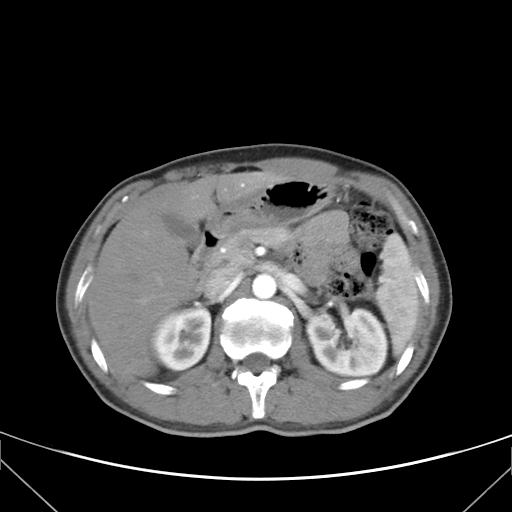
modality: multiphase abdominal CT, liver, arterial phase; patient: female, age 36.